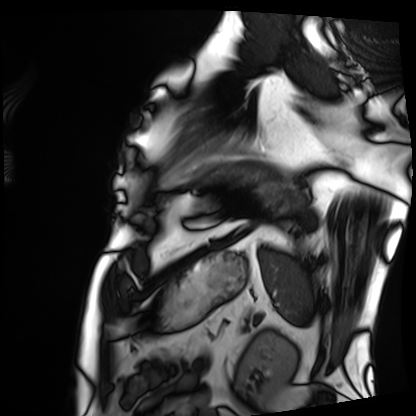
Cardiac MRI.
Subject group: patient.